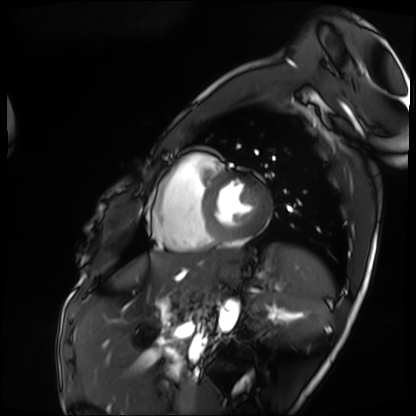
modality: cardiac MRI, subject group: patient.